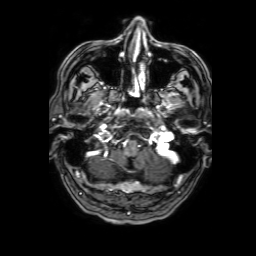
Q: What kind of scan is this?
A: 3 Tesla brain MRI.
Q: Series?
A: 3D T1-weighted with SENSE.
Study: ring-enhancing brain masses.